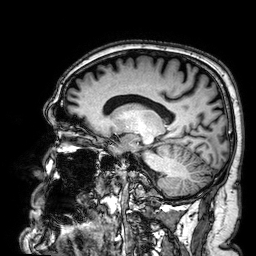
– modality: 3 Tesla brain MRI
– series: 3D T1-weighted
– study: ring-enhancing brain masses